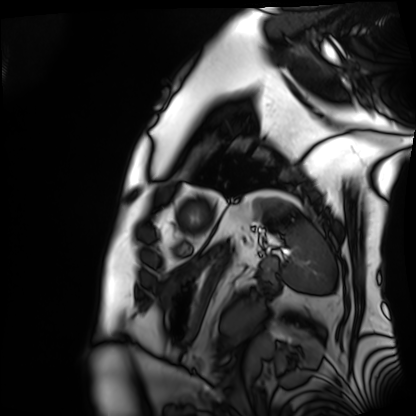
Cardiac MRI. Subject group: patient.